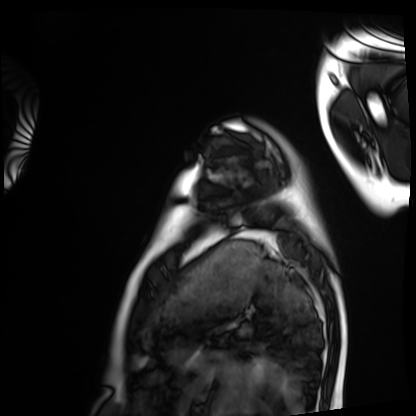
Cardiac MRI. Subject group: healthy volunteer.